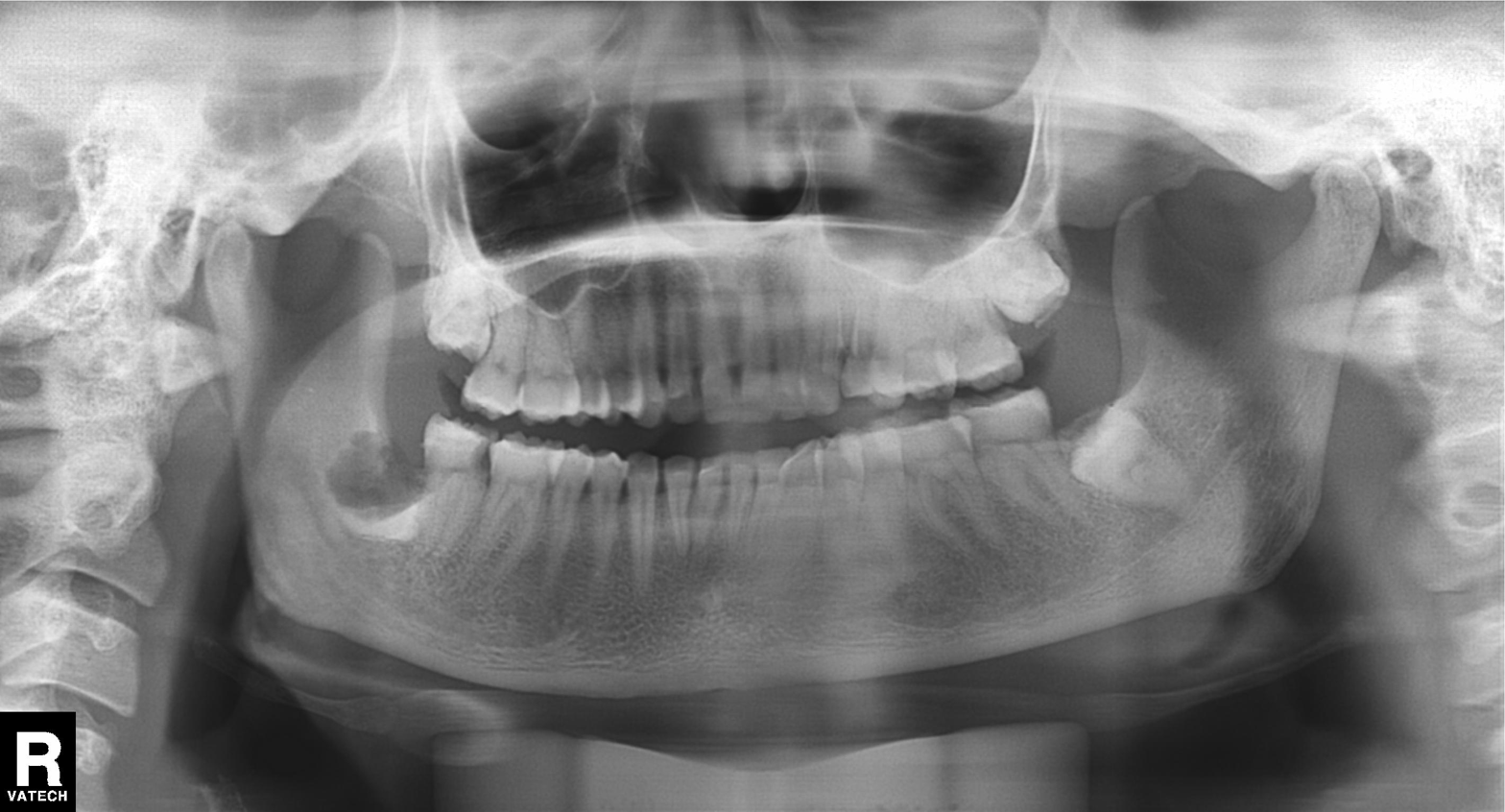
Q: What kind of scan is this?
A: Panoramic dental radiograph (orthopantomogram).
Q: What is the radiographic finding?
A: Alveolar bone loss.